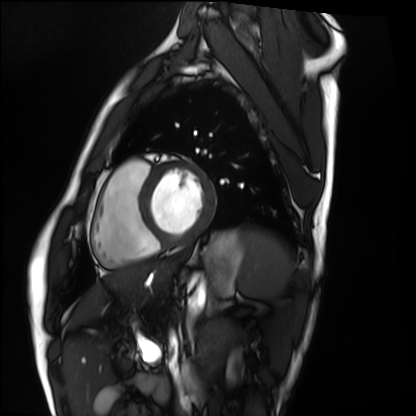
| field | value |
|---|---|
| modality | cardiac MRI |
| subject group | healthy volunteer |